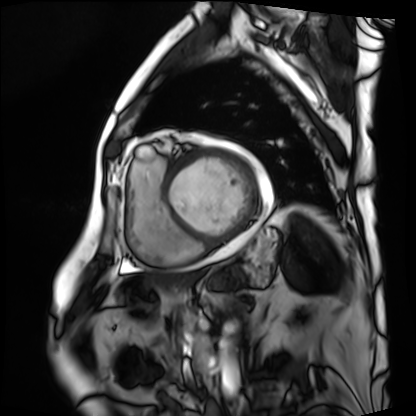
Summary:
Cardiac MRI. Subject group: patient.